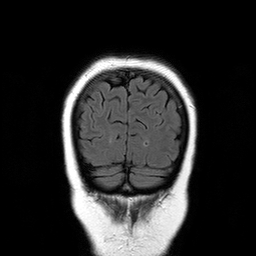
{
  "modality": {
    "type": "brain MRI",
    "field_strength": "3T"
  },
  "series": "T2-weighted FLAIR",
  "study_topic": "ring-enhancing brain masses"
}